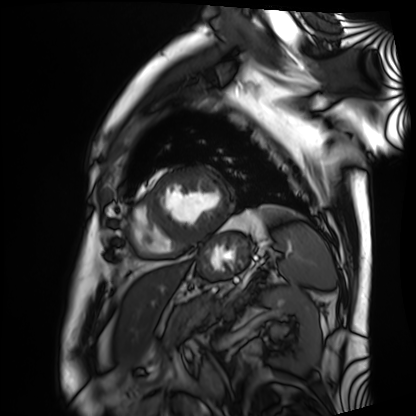
Cardiac MRI.
Subject group: patient.